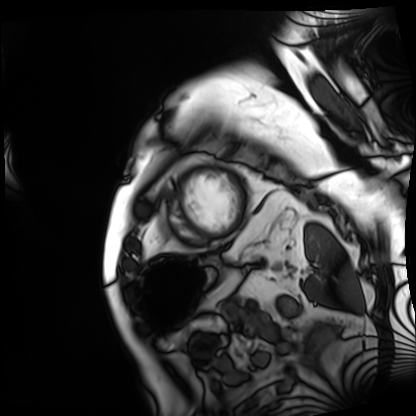
modality = cardiac MRI
subject group = patient